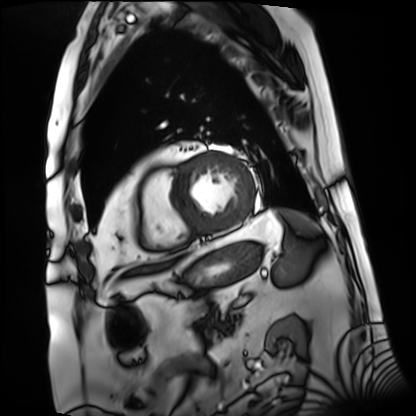
<study>
  <modality>cardiac MRI</modality>
  <cohort>patient</cohort>
</study>